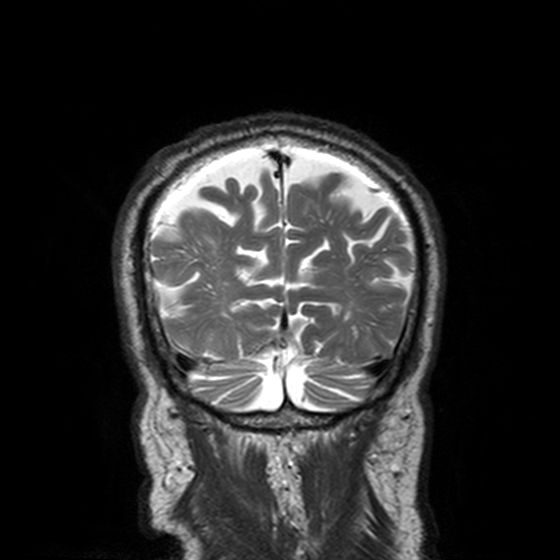
3 Tesla brain MRI. Series: T2-weighted turbo spin echo, 3 mm. Study: ring-enhancing brain masses.